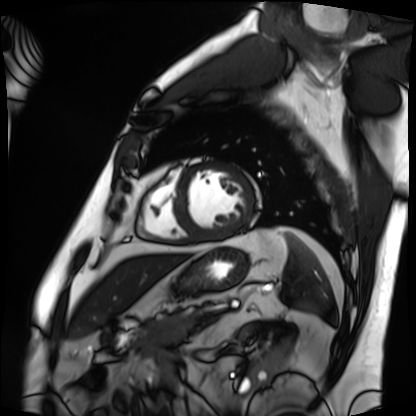
{"modality": "cardiac MRI", "cohort": "patient"}